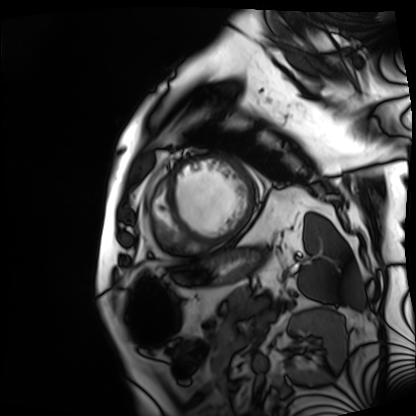
Summary: Cardiac MRI. Subject group: patient.